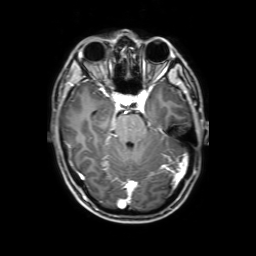
Q: What kind of scan is this?
A: 3 Tesla brain MRI.
Q: Series?
A: 3D T1-weighted with SENSE.
Study: ring-enhancing brain masses.